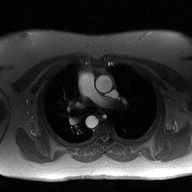
2D phase-contrast cine MRI of the ascending aorta, high-resolution GRAPPA acquisition.